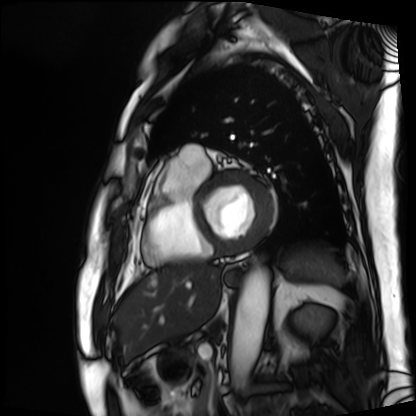
Cardiac MRI.
Subject group: patient.